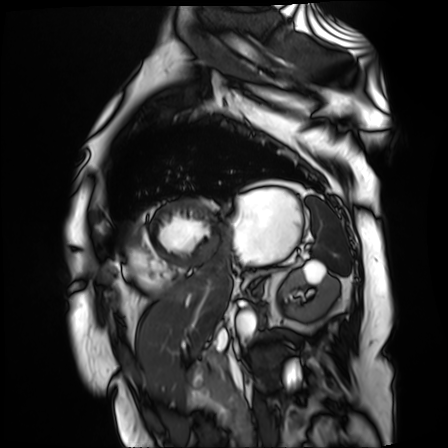
Cardiac MR image of the myocardium.
Subject cohort: cardiac patient.